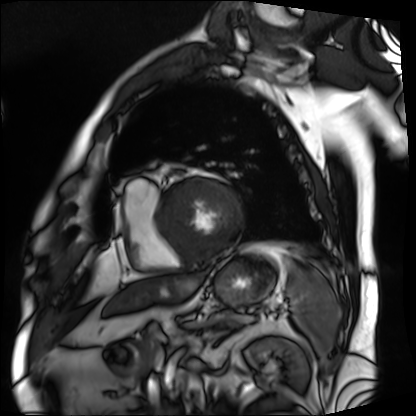
  modality: cardiac MRI
  cohort: patient